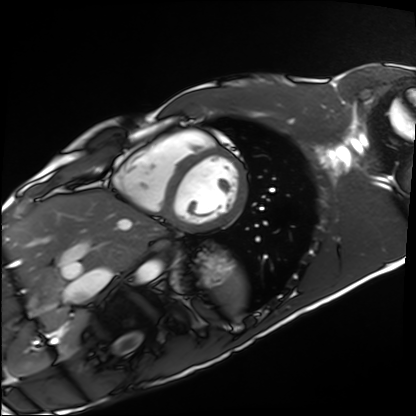
Cardiac MRI. Subject group: healthy volunteer.